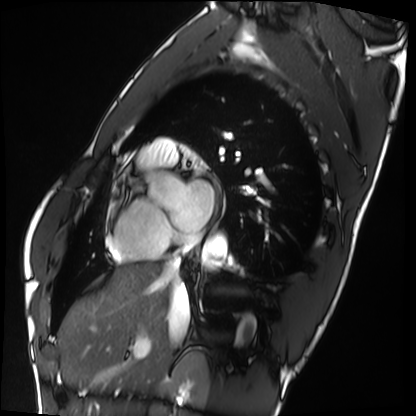
Q: What kind of scan is this?
A: Cardiac MRI.
Subject group: healthy volunteer.